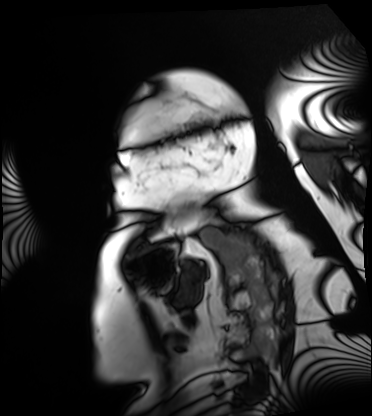
Cardiac MRI.
Subject group: patient.